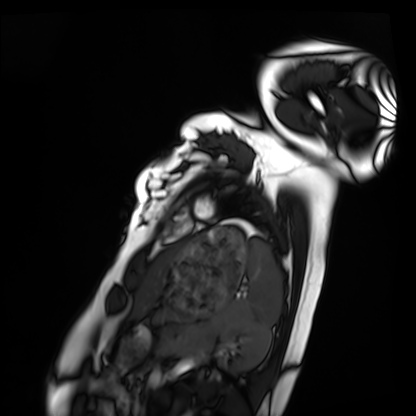
modality: cardiac MRI; subject group: healthy volunteer.